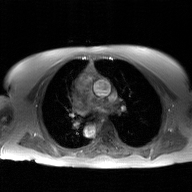
{"modality": {"type": "2D phase-contrast cine MRI", "region": "ascending aorta", "reconstruction": "GAN super-resolution reconstruction"}}